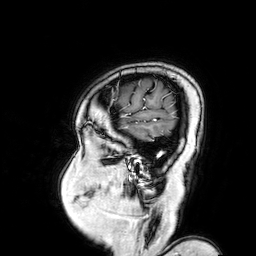
modality = 3 Tesla brain MRI
series = 3D T1-weighted turbo field echo with SENSE
study = ring-enhancing brain masses